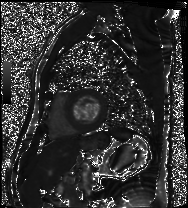
* modality — cardiac MRI
* subject group — patient